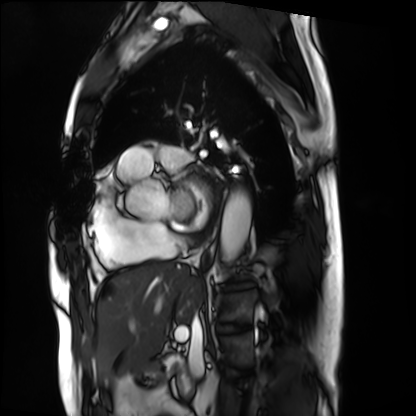
Case summary:
Cardiac MRI. Subject group: patient.